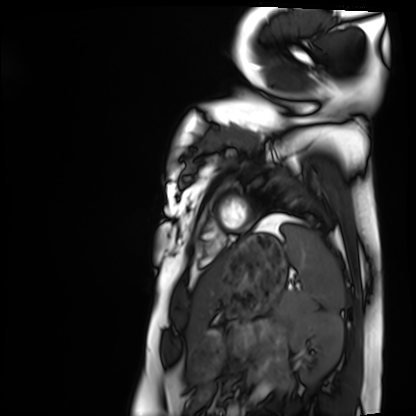
modality: cardiac MRI
cohort: healthy volunteer